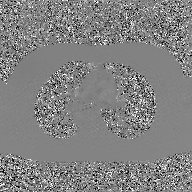
modality: 2D phase-contrast cine MRI of the ascending aorta, GAN super-resolution reconstruction.